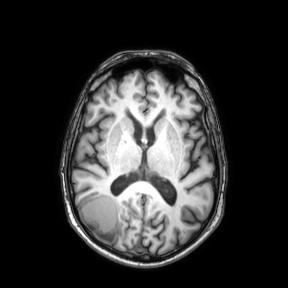
• modality · 3 Tesla brain MRI
• study · ring-enhancing brain masses